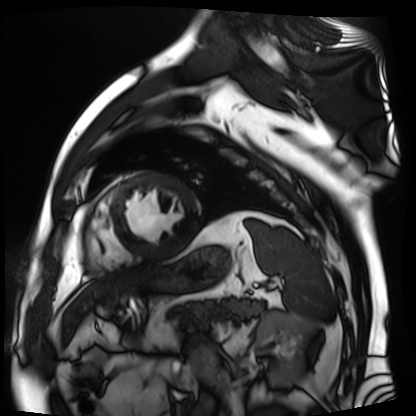
– modality: cardiac MR image of the myocardium
– subject cohort: cardiac patient